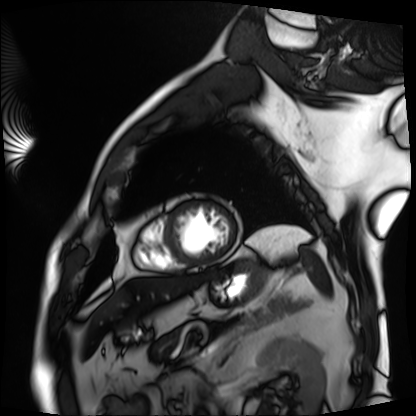
Clinical context: Cardiac MRI. Subject group: patient.